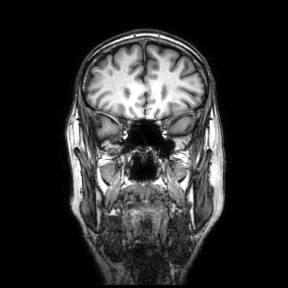
modality=3 Tesla brain MRI; series=coronal; study=ring-enhancing brain masses.